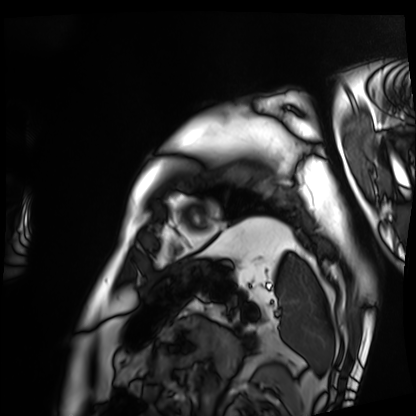
  modality: cardiac MRI
  cohort: patient